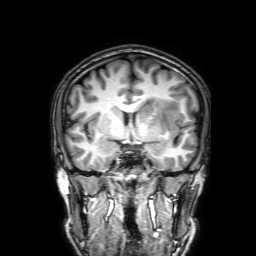
{
  "modality": {
    "type": "brain MRI",
    "field_strength": "3T"
  },
  "series": "3D T1-weighted with SENSE",
  "study_topic": "ring-enhancing brain masses"
}